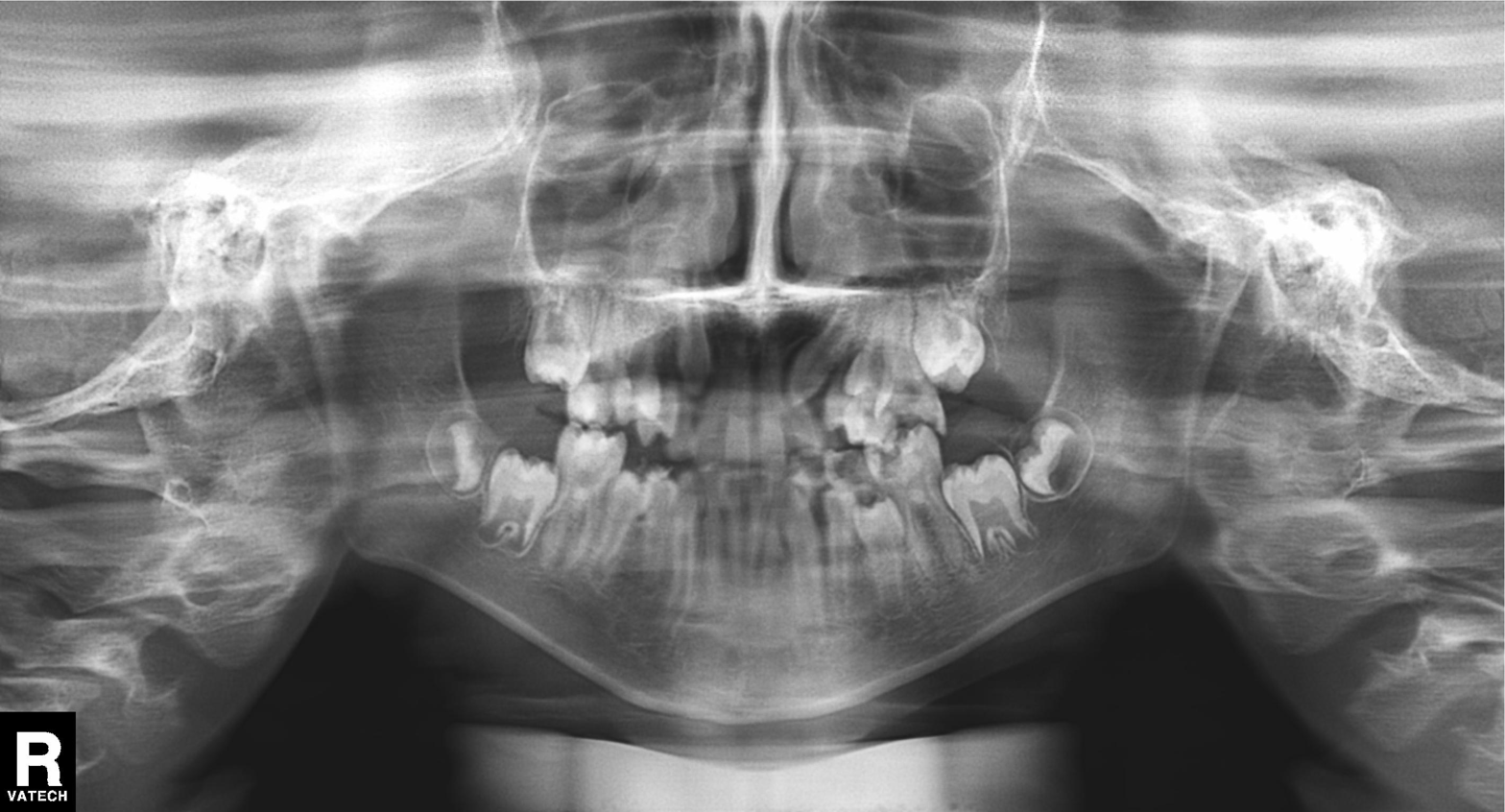
{"modality": "panoramic dental radiograph (orthopantomogram)", "finding": "tooth impaction"}